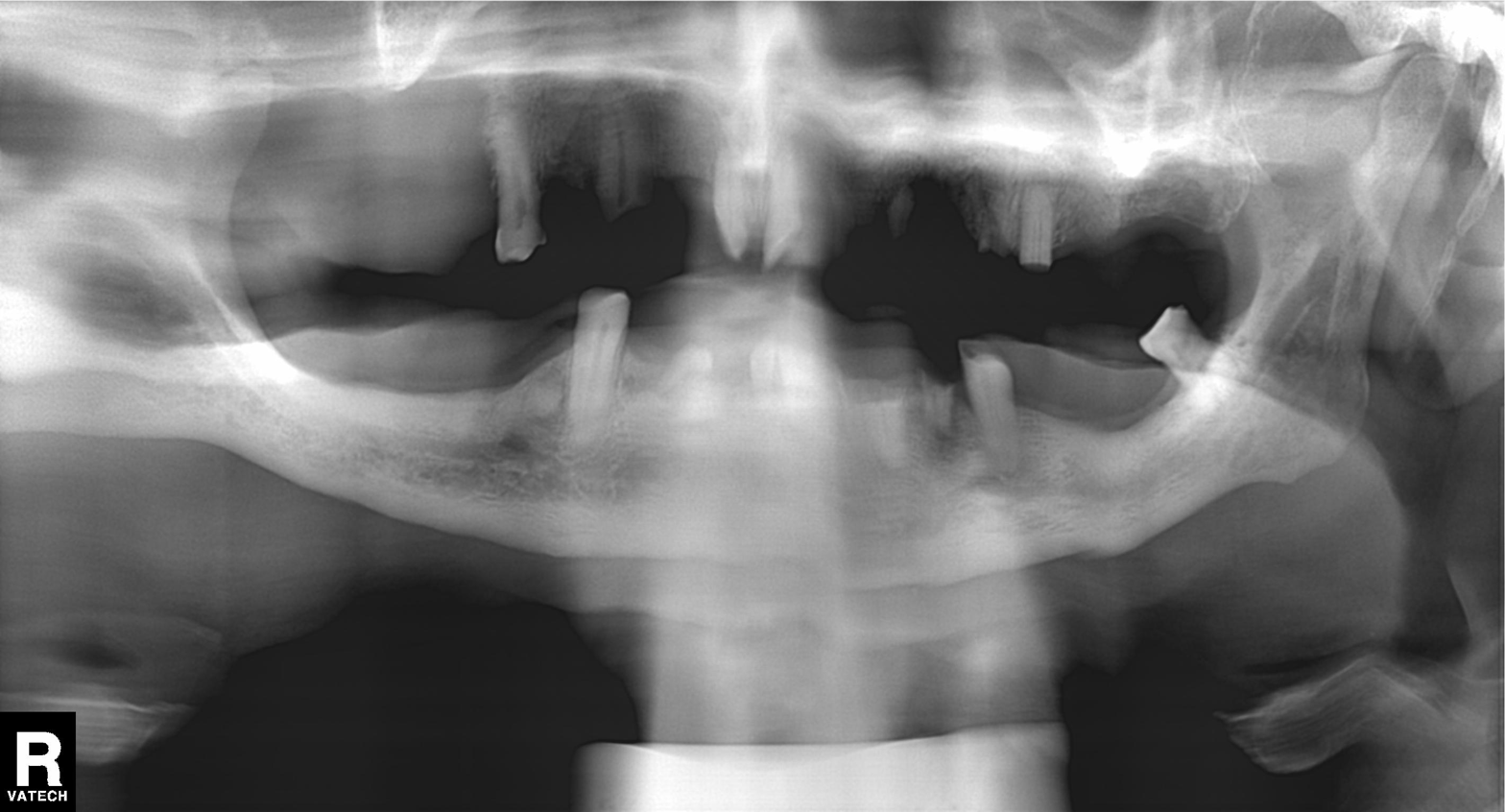
Findings:
- modality: panoramic dental radiograph (orthopantomogram)
- finding: alveolar bone loss